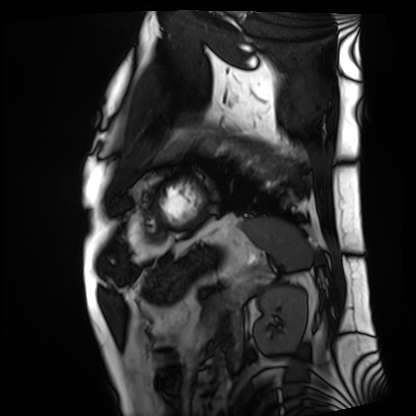
Cardiac MRI. Subject group: patient.